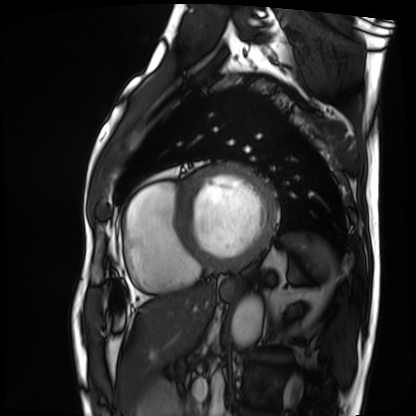
modality: cardiac MRI | subject group: patient.